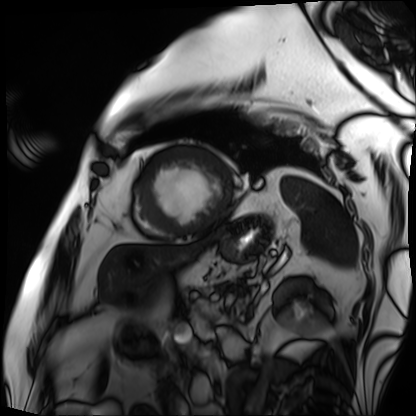
Cardiac MRI. Subject group: patient.